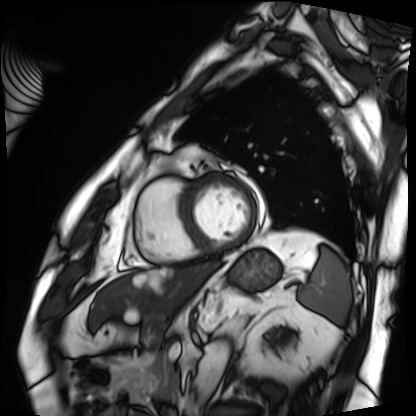
Cardiac MRI. Subject group: patient.